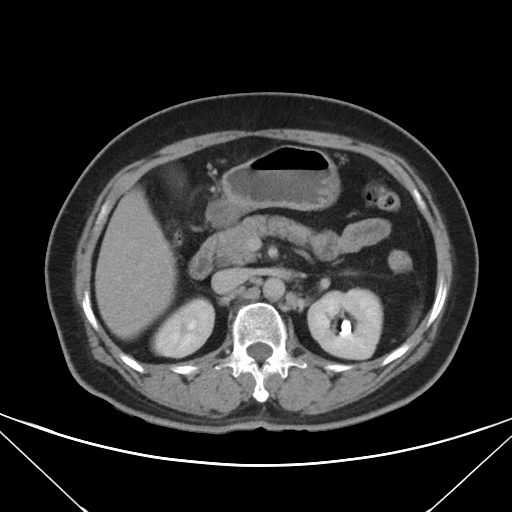
Summary: Multiphase abdominal CT, liver, delayed phase. Patient: female, age 60. History: prior chemotherapy.